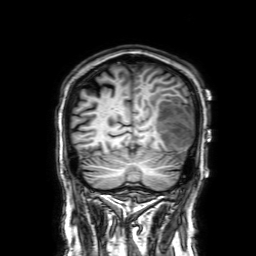
3 Tesla brain MRI.
Series: 3D T1-weighted with SENSE.
Study: ring-enhancing brain masses.